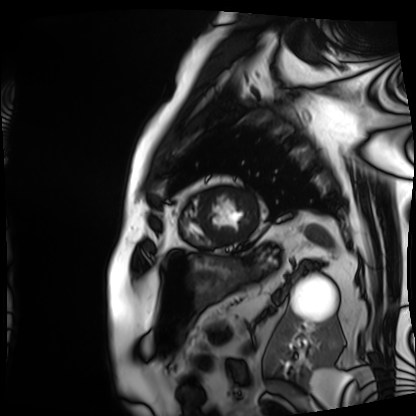
Case:
- modality: cardiac MRI
- subject group: patient